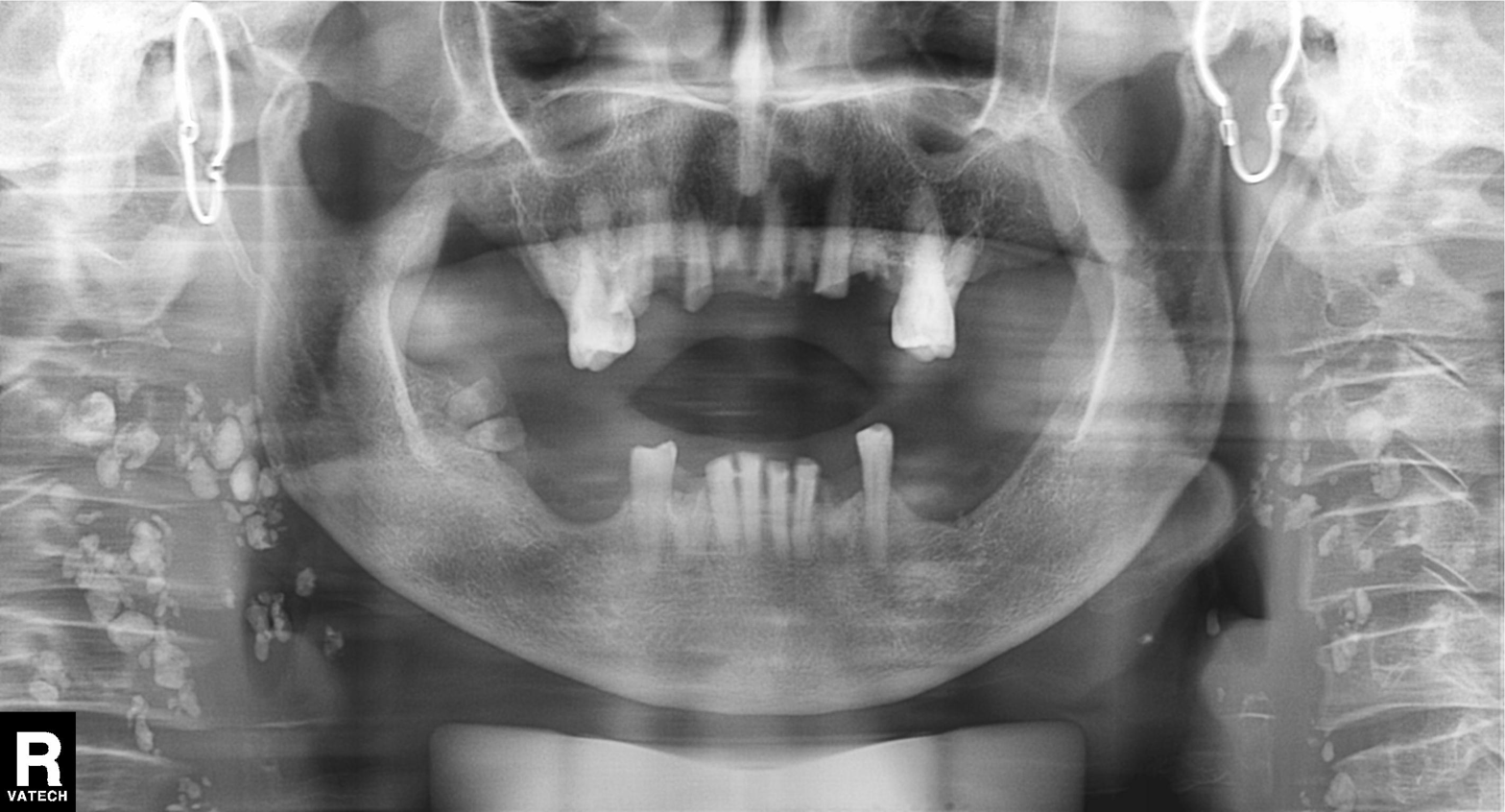
Panoramic dental radiograph (orthopantomogram).
Finding: tooth impaction.